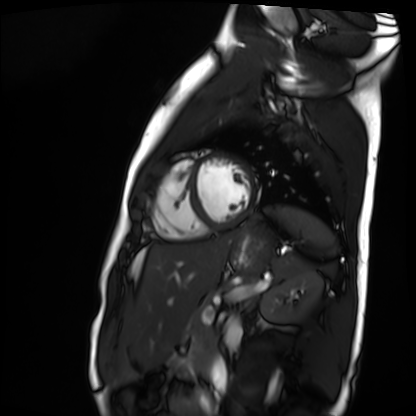
Summary:
Cardiac MR image of the myocardium. Subject cohort: healthy volunteer.